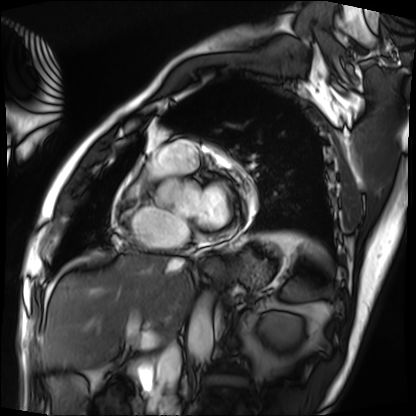
Cardiac MRI.
Subject group: patient.